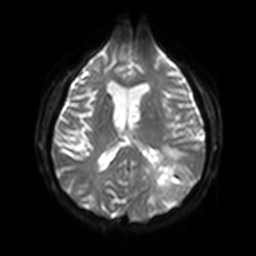
  modality:
    type: brain MRI
    field_strength: 3T
  series: diffusion-weighted imaging with SENSE (WIP)
  study_topic: ring-enhancing brain masses